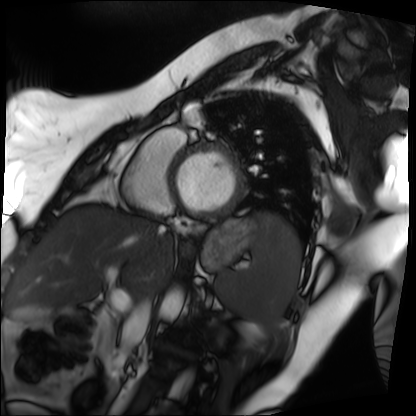
{
  "modality": "cardiac MRI",
  "cohort": "patient"
}